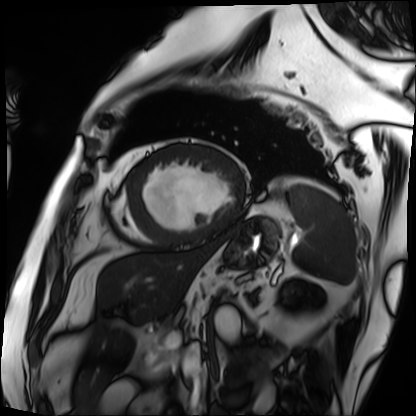
Cardiac MRI. Subject group: patient.